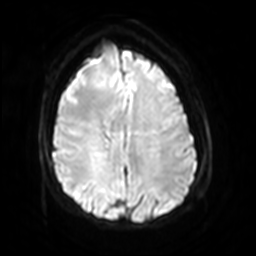
  modality:
    type: brain MRI
    field_strength: 3T
  series: diffusion-weighted imaging with SENSE (WIP)
  study_topic: ring-enhancing brain masses